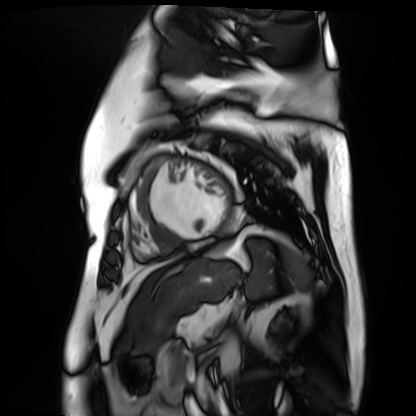
Cardiac MR image of the myocardium. Subject cohort: cardiac patient.